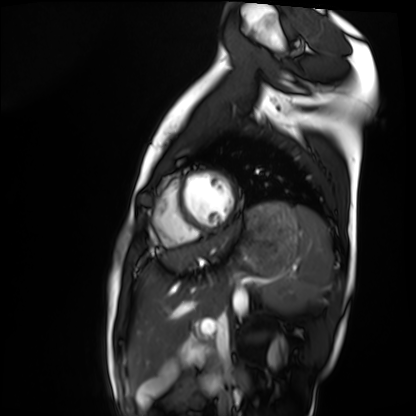
- modality — cardiac MRI
- subject group — healthy volunteer